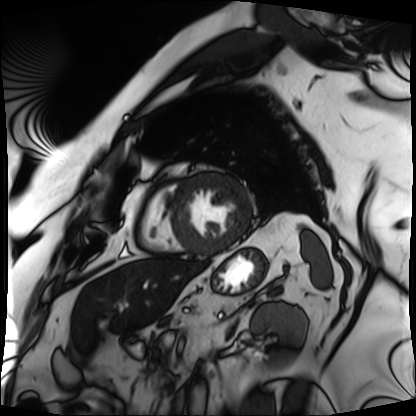
Summary:
Cardiac MRI. Subject group: patient.